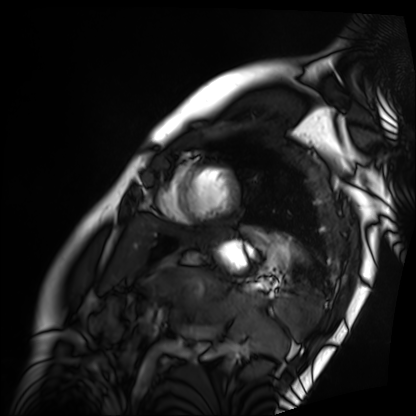
Summary:
Cardiac MRI. Subject group: patient.